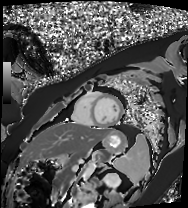
Case:
- modality: cardiac MR image of the myocardium
- subject cohort: healthy volunteer